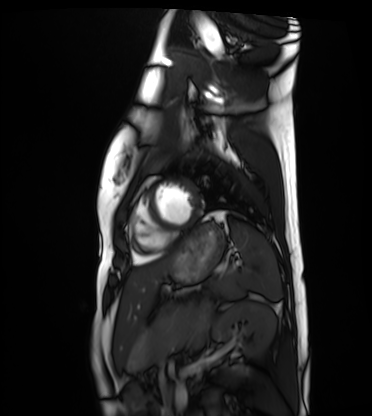
modality: cardiac MRI; subject group: healthy volunteer.